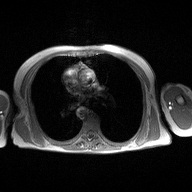
2D phase-contrast cine MRI of the ascending aorta, high-resolution GRAPPA acquisition.